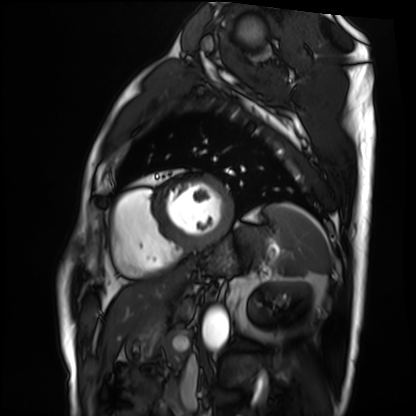
Summary: Cardiac MRI. Subject group: patient.